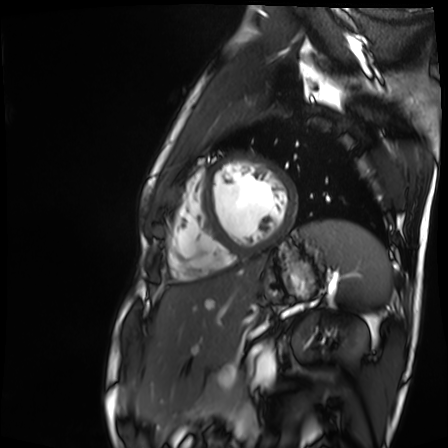
modality = cardiac MR image of the myocardium
subject cohort = healthy volunteer